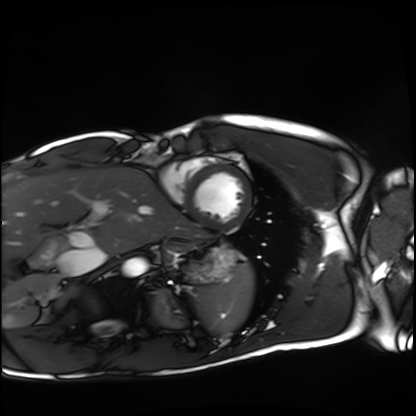
Clinical context:
Cardiac MRI. Subject group: healthy volunteer.